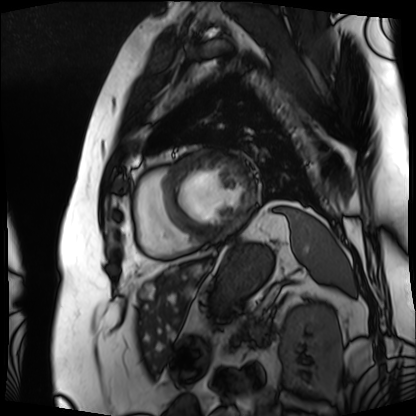
Q: What kind of scan is this?
A: Cardiac MRI.
Subject group: patient.